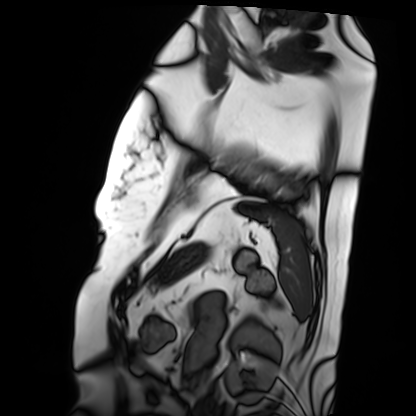
Case:
* modality: cardiac MRI
* subject group: patient